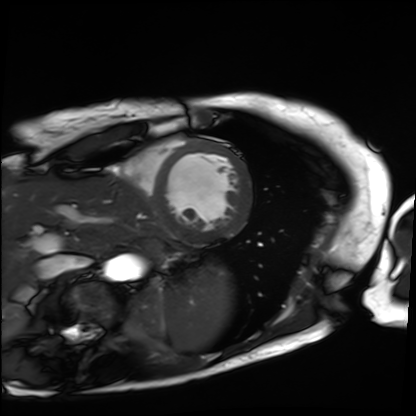
Case summary:
Cardiac MRI. Subject group: patient.